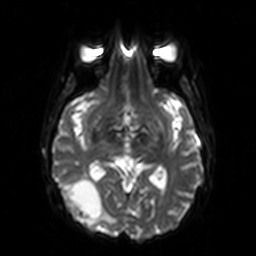
{"modality": {"type": "brain MRI", "field_strength": "3T"}, "series": "diffusion-weighted imaging", "study_topic": "ring-enhancing brain masses"}